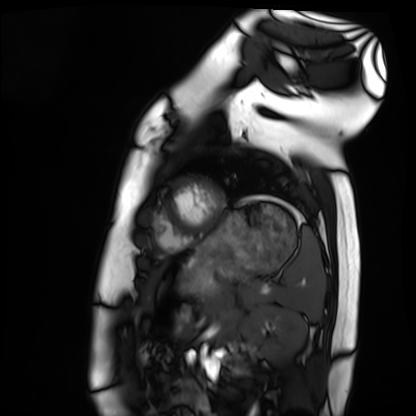
Q: What kind of scan is this?
A: Cardiac MRI.
Subject group: healthy volunteer.